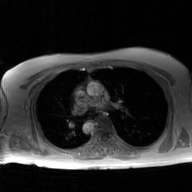
Case summary: 2D phase-contrast cine MRI of the ascending aorta, GAN super-resolution reconstruction.